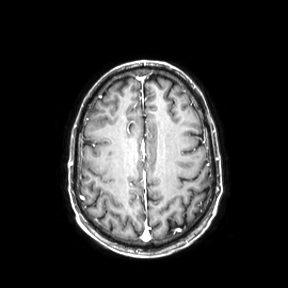
modality = 3 Tesla brain MRI; series = axial; study = ring-enhancing brain masses.